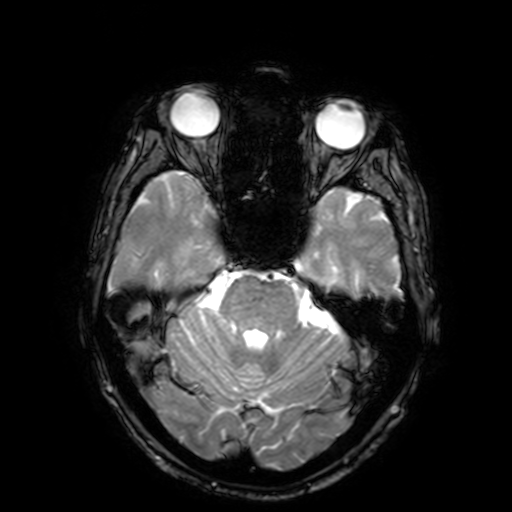
modality: 3 Tesla brain MRI
series: T2-weighted fast field echo with SENSE
study: ring-enhancing brain masses